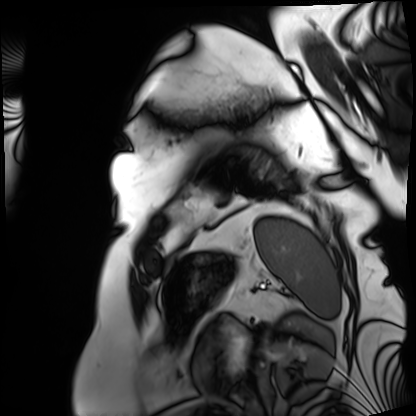
Cardiac MRI. Subject group: patient.